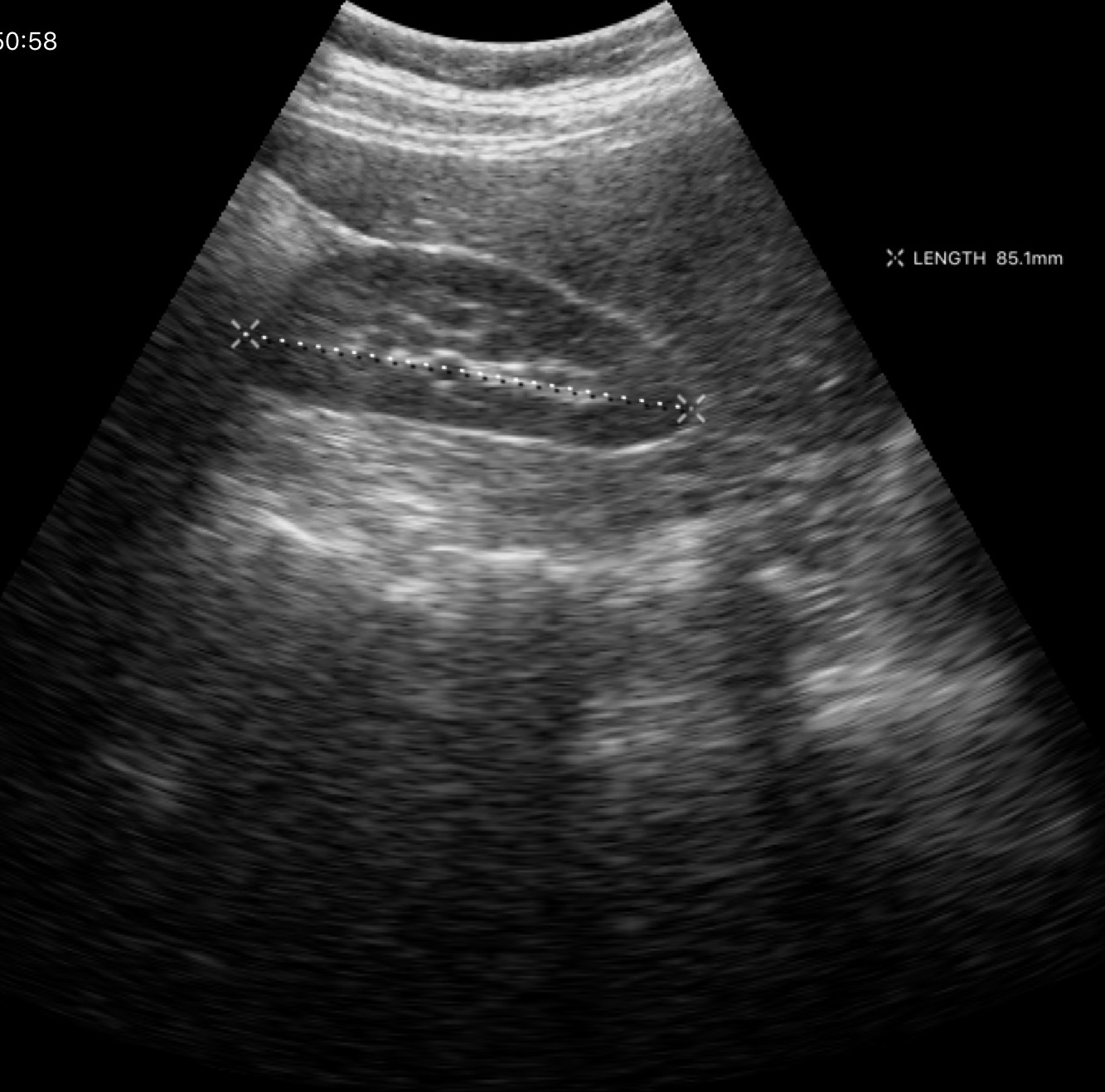
Summary:
Genitourinary ultrasound.